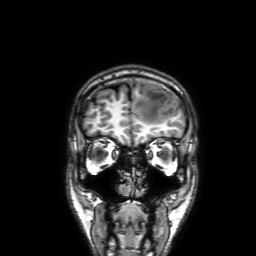
Q: What kind of scan is this?
A: 3 Tesla brain MRI.
Q: Series?
A: 3D T1-weighted with SENSE.
Study: ring-enhancing brain masses.